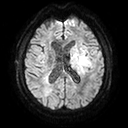
3 Tesla brain MRI. Series: diffusion tensor imaging (medium iso). Study: ring-enhancing brain masses.